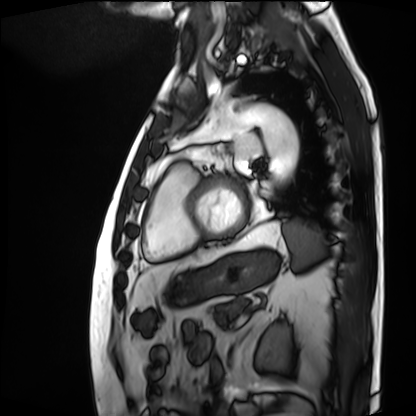
Cardiac MRI.
Subject group: patient.